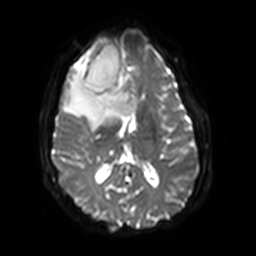
Summary:
3 Tesla brain MRI. Series: diffusion-weighted imaging with SENSE (WIP). Study: ring-enhancing brain masses.